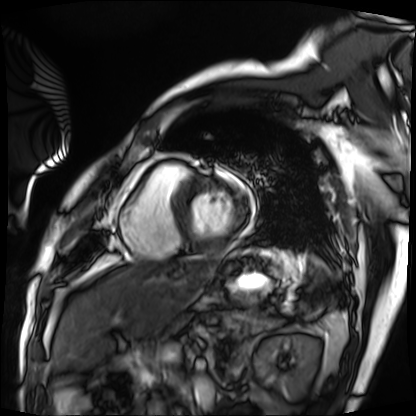
Cardiac MRI. Subject group: patient.